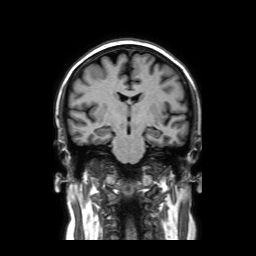
Q: What kind of scan is this?
A: 3 Tesla brain MRI.
Q: Series?
A: Coronal without contrast.
Study: ring-enhancing brain masses.